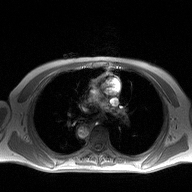
2D phase-contrast cine MRI of the ascending aorta, high-resolution GRAPPA acquisition.